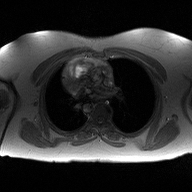
2D phase-contrast cine MRI of the ascending aorta, high-resolution GRAPPA acquisition.